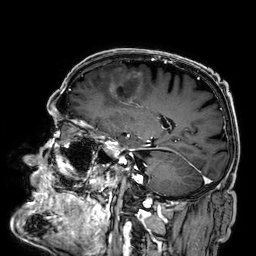
3 Tesla brain MRI. Series: 3D T1-weighted. Study: ring-enhancing brain masses.